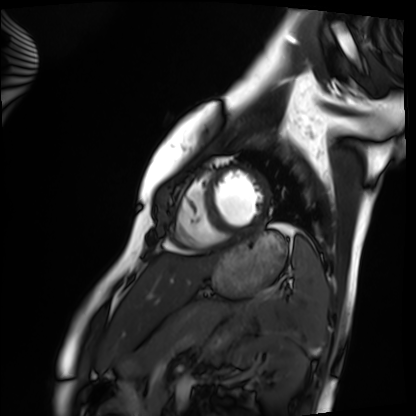
- modality · cardiac MRI
- subject group · healthy volunteer